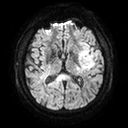
• modality — 3 Tesla brain MRI
• series — diffusion tensor imaging (medium iso)
• study — ring-enhancing brain masses